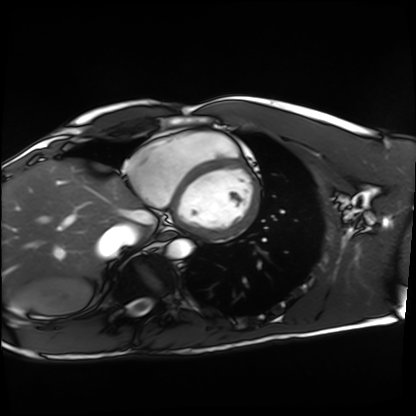
– modality · cardiac MRI
– subject group · healthy volunteer